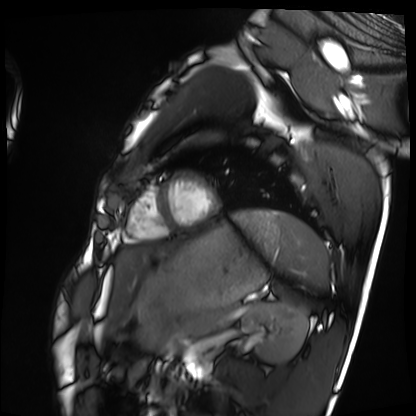
Cardiac MRI. Subject group: healthy volunteer.